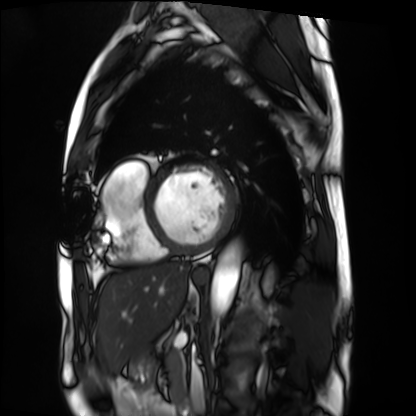
Cardiac MRI. Subject group: patient.